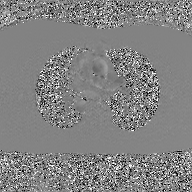
Q: What kind of scan is this?
A: 2D phase-contrast cine MRI of the ascending aorta, GAN super-resolution reconstruction.